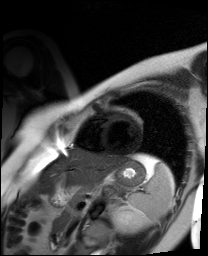
Cardiac MR image of the myocardium. Subject cohort: healthy volunteer.